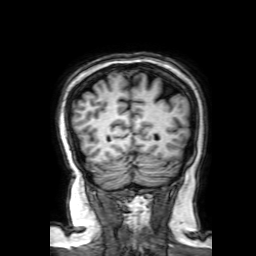
  modality:
    type: brain MRI
    field_strength: 3T
  study_topic: ring-enhancing brain masses